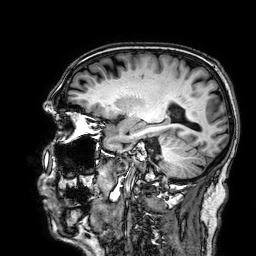
3 Tesla brain MRI.
Series: 3D T1-weighted.
Study: ring-enhancing brain masses.